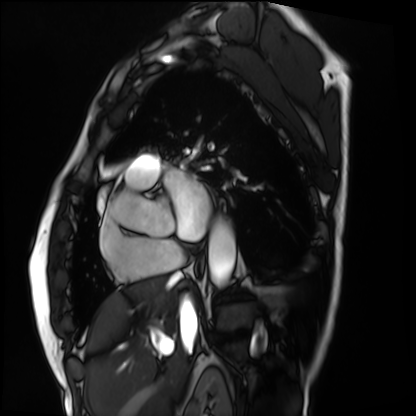
modality = cardiac MRI | subject group = patient.